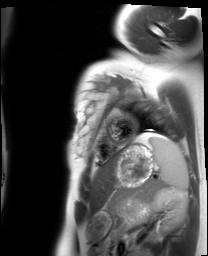
Cardiac MRI.
Subject group: healthy volunteer.